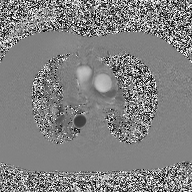
2D phase-contrast cine MRI of the ascending aorta, high-resolution GRAPPA acquisition.